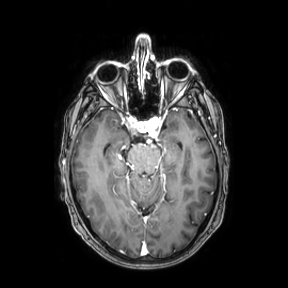
3 Tesla brain MRI.
Series: axial.
Study: ring-enhancing brain masses.